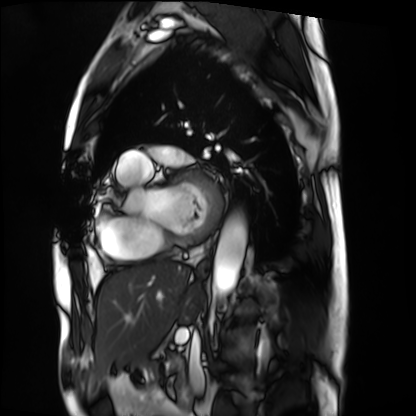
Cardiac MRI. Subject group: patient.